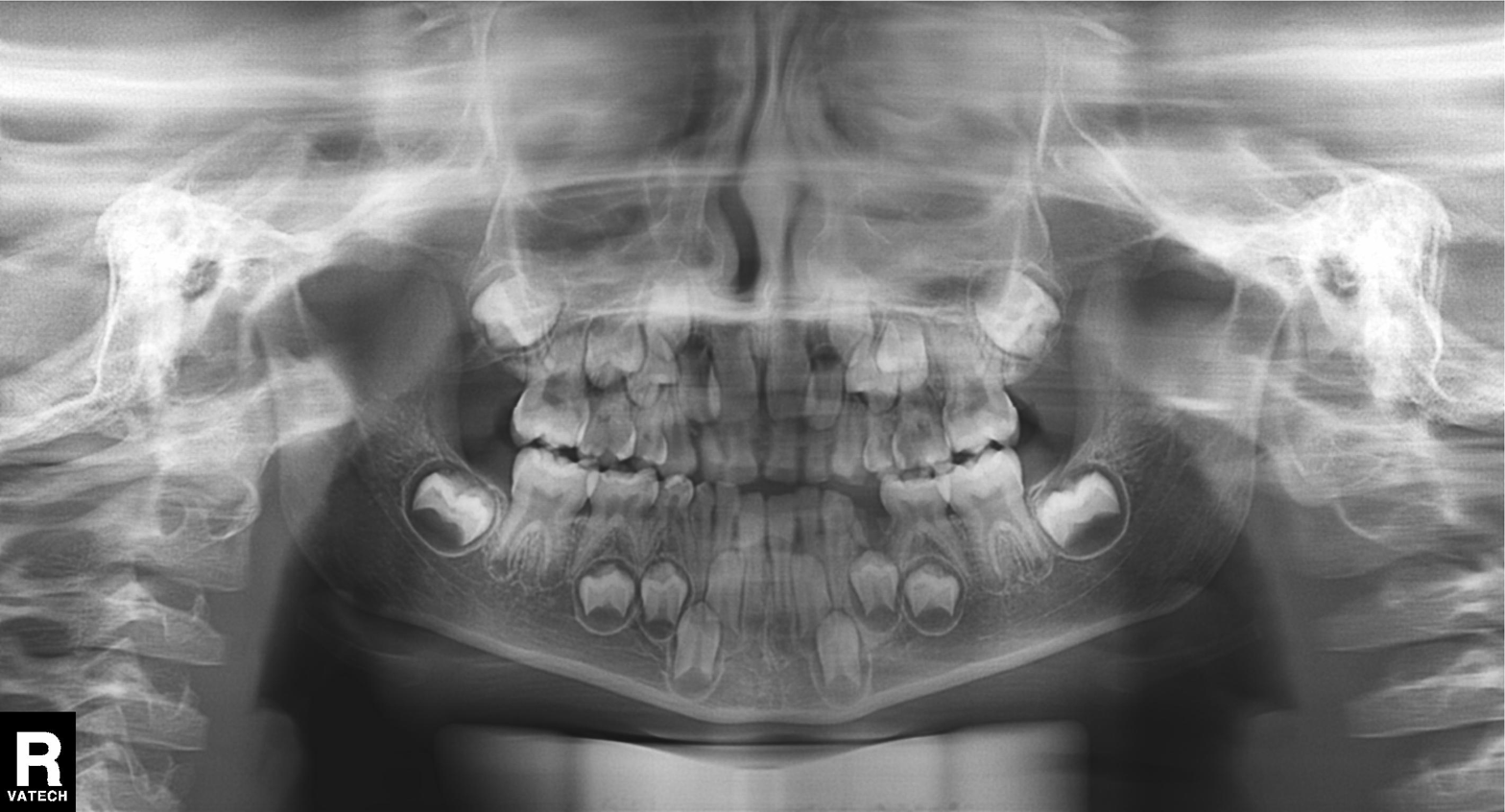
Clinical context:
Panoramic dental radiograph (orthopantomogram).
Impression:
Alveolar bone loss.